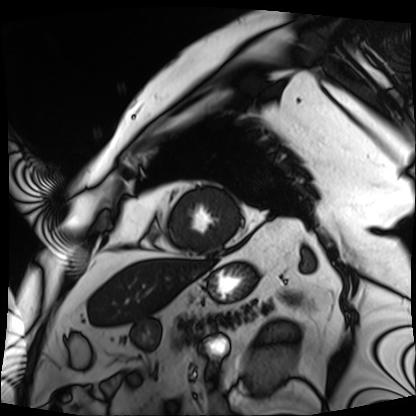
Cardiac MRI. Subject group: patient.